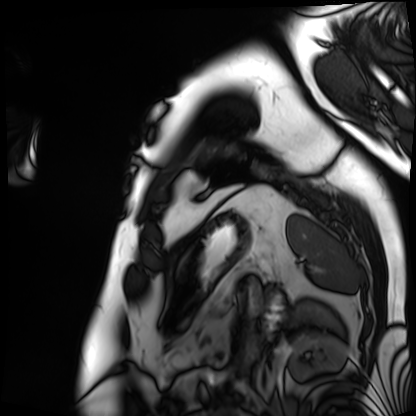
Q: What kind of scan is this?
A: Cardiac MRI.
Subject group: patient.